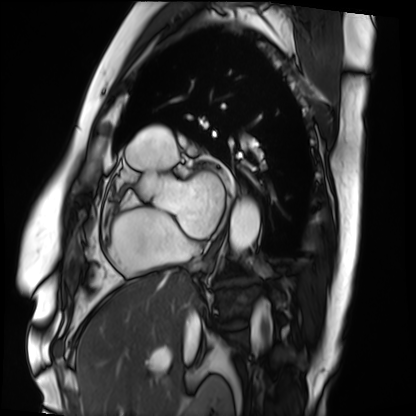
Summary:
Cardiac MRI. Subject group: patient.